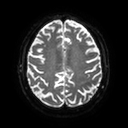
Case:
- modality · 3 Tesla brain MRI
- series · diffusion tensor imaging (medium iso)
- study · ring-enhancing brain masses